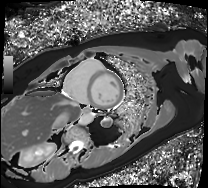
modality: cardiac MRI | subject group: patient.